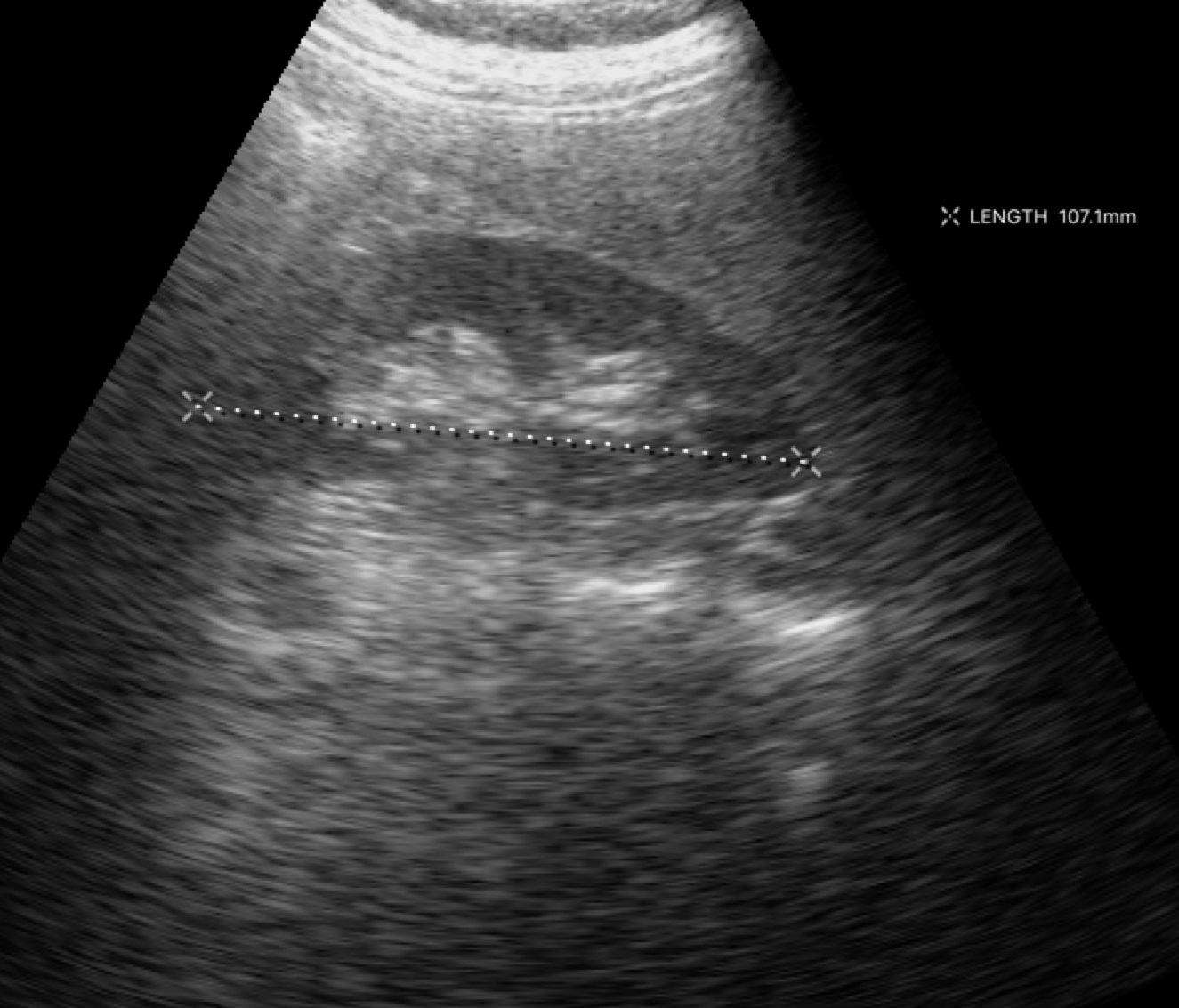
Genitourinary ultrasound.